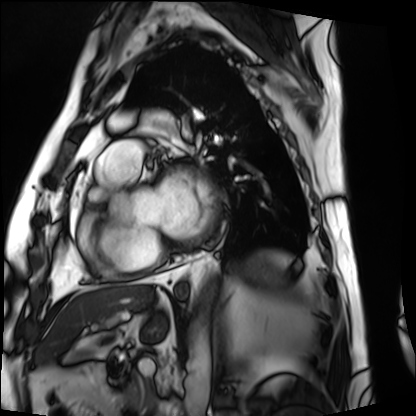
modality — cardiac MRI; subject group — patient.